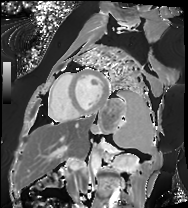
Cardiac MRI. Subject group: patient.